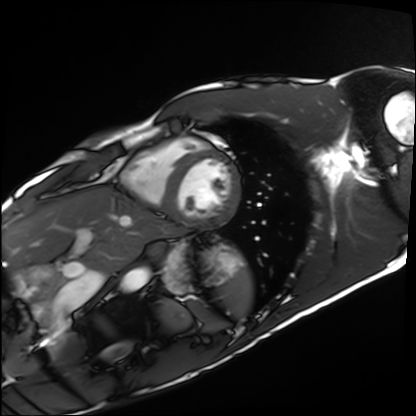
* modality · cardiac MRI
* subject group · healthy volunteer